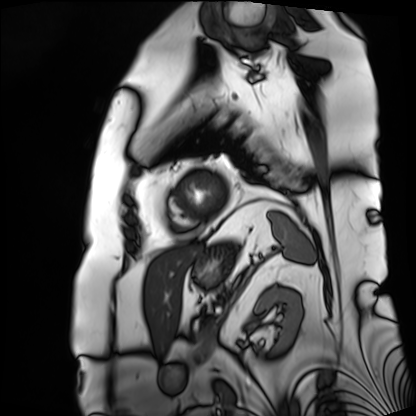
Summary:
Cardiac MRI. Subject group: patient.